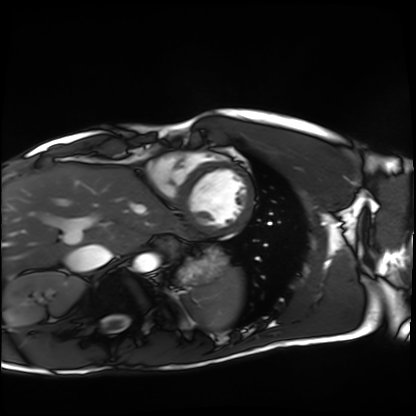
Cardiac MRI.
Subject group: healthy volunteer.